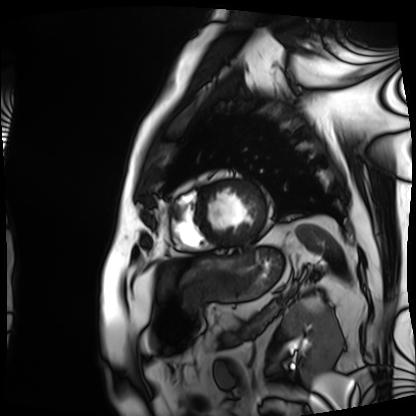
modality = cardiac MRI | subject group = patient.